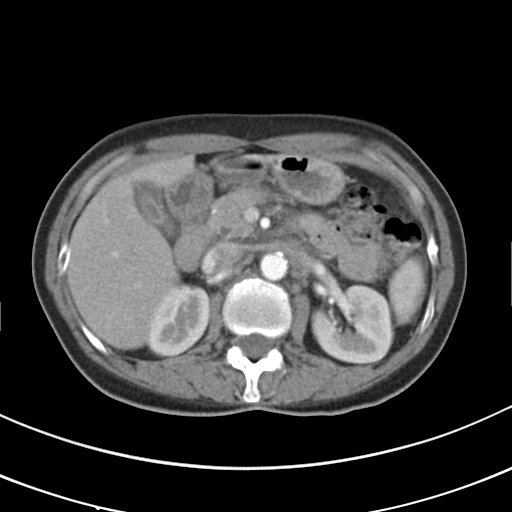
Multiphase abdominal CT, liver, arterial phase. Patient: female, age 50.